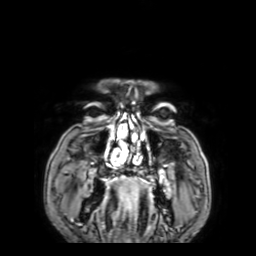
Case:
* modality: 3 Tesla brain MRI
* series: 3D T1-weighted with SENSE
* study: ring-enhancing brain masses